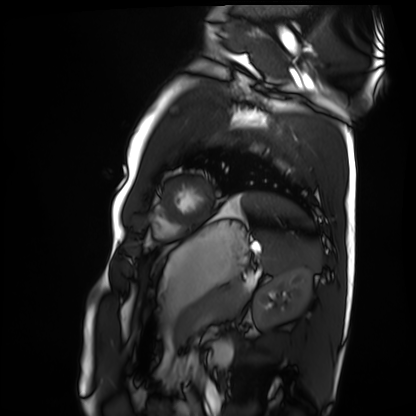
Summary:
Cardiac MRI. Subject group: healthy volunteer.